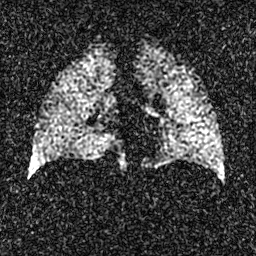
modality = hyperpolarized 129Xe ventilation MRI of the lungs; SNR level = 3 of 8 (the deposit holds this scan as its native image and as seven SNR-degraded versions).